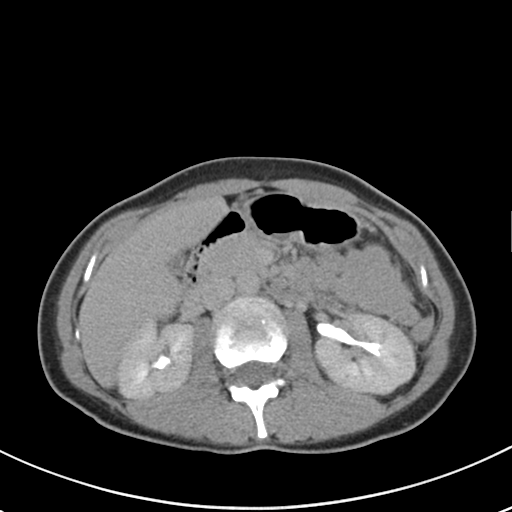
<study>
  <modality>
    <type>multiphase abdominal CT</type>
    <region>liver</region>
    <phase>delayed</phase>
  </modality>
  <patient>
    <sex>female</sex>
    <age>36</age>
  </patient>
</study>